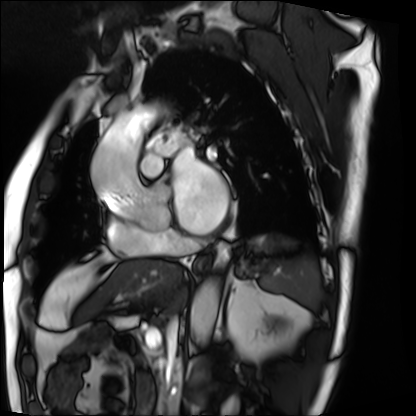
Cardiac MRI.
Subject group: patient.